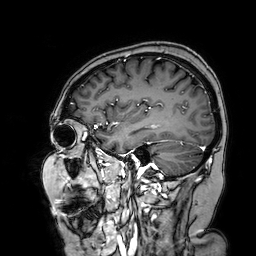
modality: 3 Tesla brain MRI | series: 3D T1-weighted turbo field echo with SENSE | study: ring-enhancing brain masses.